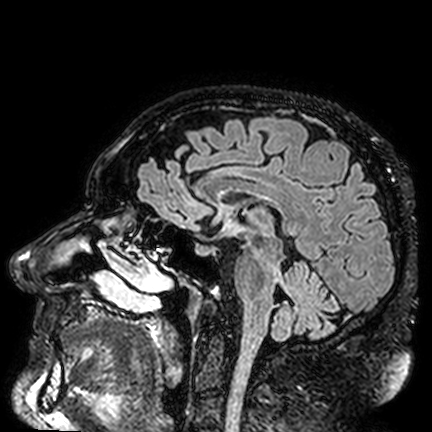
3 Tesla brain MRI.
Series: FLAIR VISTA.
Study: ring-enhancing brain masses.